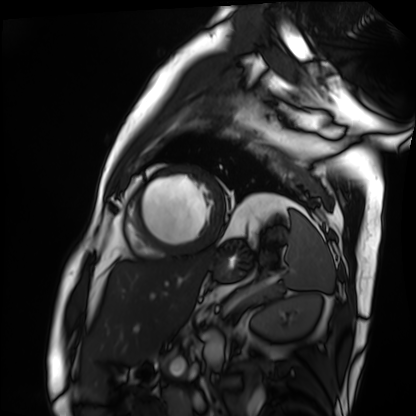
modality = cardiac MRI
subject group = patient